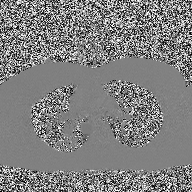
Case:
– modality: 2D phase-contrast cine MRI of the ascending aorta